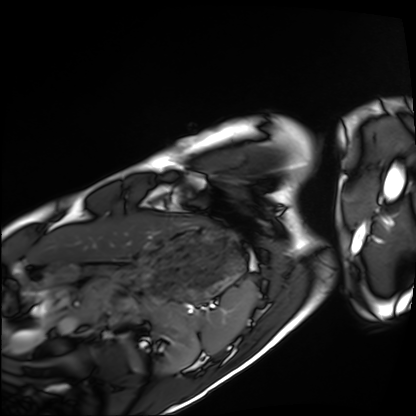
* modality — cardiac MRI
* subject group — healthy volunteer